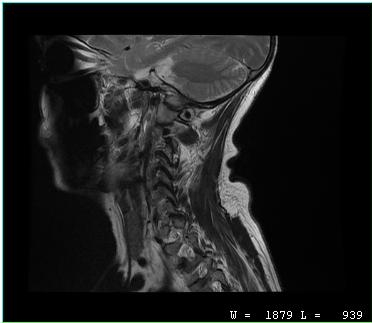
MRI of the cervical spine. Study: cervical spondylosis.